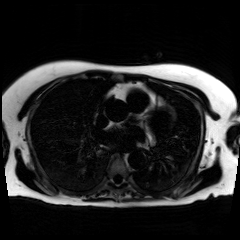
{
  "modality": "chemical-shift-encoded cardiac MRI"
}